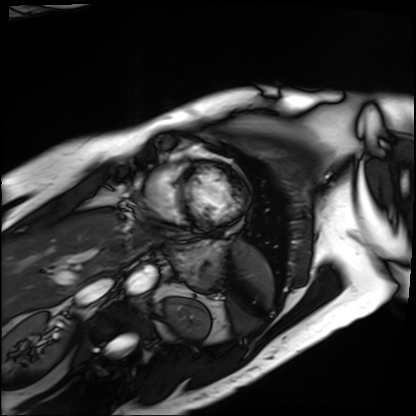
Q: What kind of scan is this?
A: Cardiac MRI.
Subject group: patient.